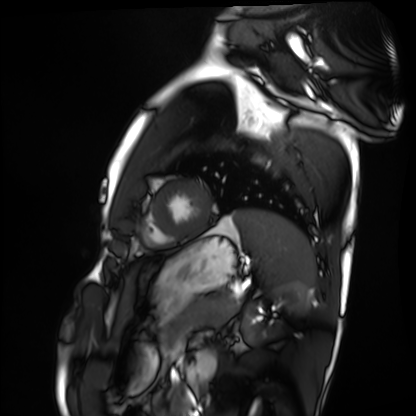
| field | value |
|---|---|
| modality | cardiac MRI |
| subject group | healthy volunteer |